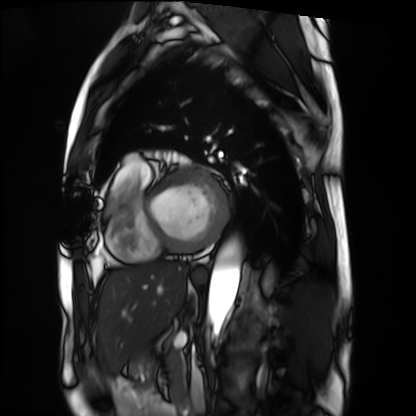
Q: What kind of scan is this?
A: Cardiac MRI.
Subject group: patient.